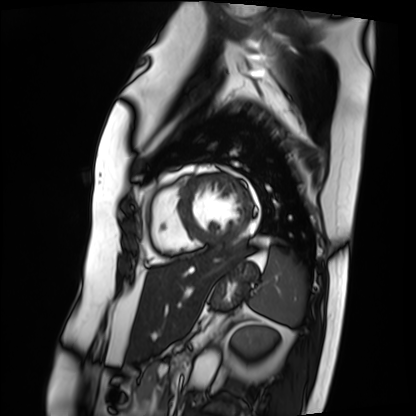
{"modality": "cardiac MRI", "cohort": "patient"}